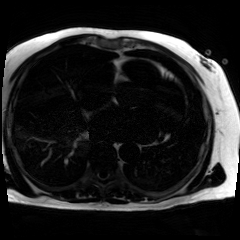
Summary:
Chemical-shift-encoded cardiac MRI.